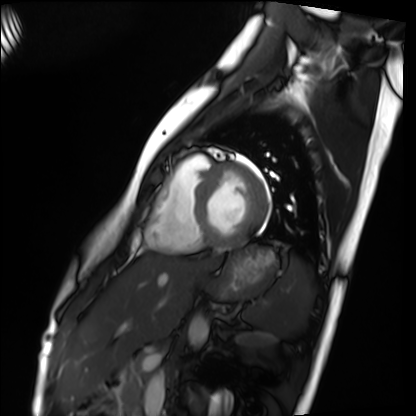
Summary: Cardiac MRI. Subject group: healthy volunteer.